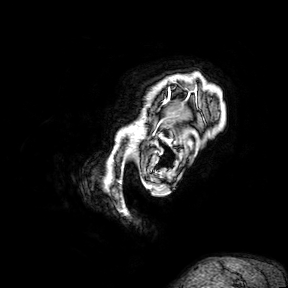
Q: What kind of scan is this?
A: 3 Tesla brain MRI.
Q: Series?
A: 3D T1-weighted turbo field echo with SENSE.
Study: ring-enhancing brain masses.